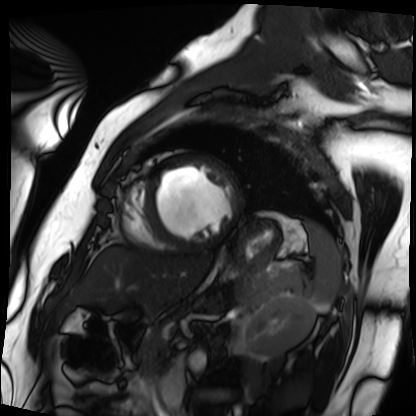
– modality · cardiac MRI
– subject group · patient